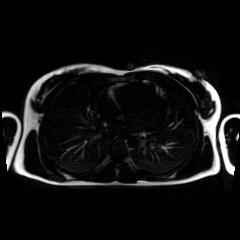
Chemical-shift-encoded cardiac MRI.